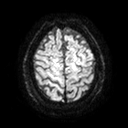
Clinical context: 3 Tesla brain MRI. Series: diffusion tensor imaging (medium iso). Study: ring-enhancing brain masses.